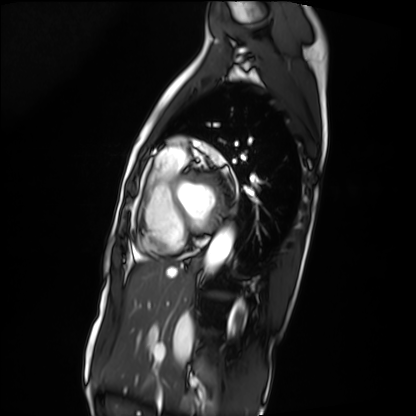
Cardiac MRI.
Subject group: patient.